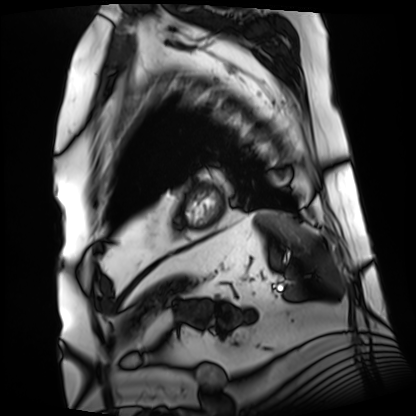
modality = cardiac MRI, subject group = patient.